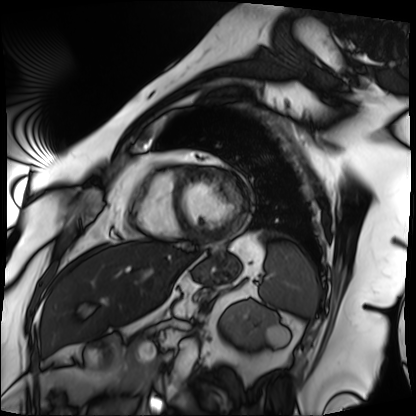
{"modality": "cardiac MRI", "cohort": "patient"}